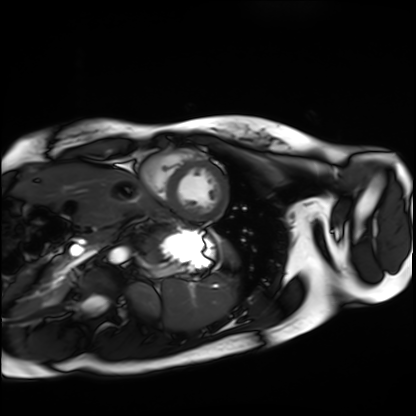
Cardiac MRI.
Subject group: healthy volunteer.